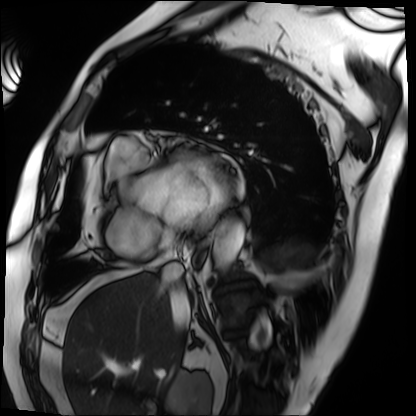
Cardiac MRI.
Subject group: patient.